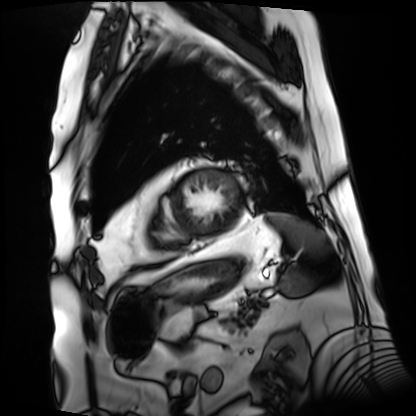
<study>
<modality>cardiac MRI</modality>
<cohort>patient</cohort>
</study>